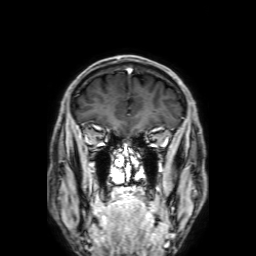
Clinical context: 3 Tesla brain MRI. Series: 3D T1-weighted with SENSE. Study: ring-enhancing brain masses.